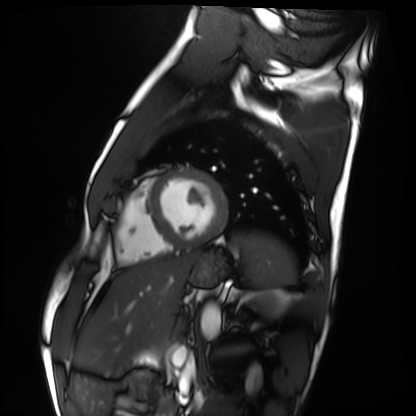
Q: What kind of scan is this?
A: Cardiac MRI.
Subject group: healthy volunteer.